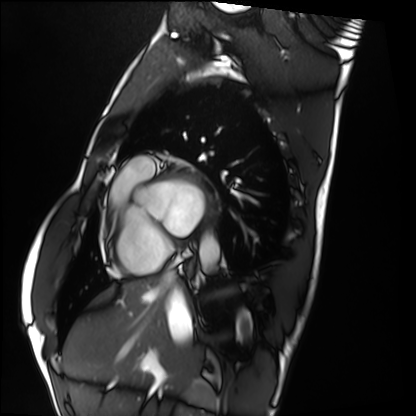
* modality: cardiac MRI
* subject group: healthy volunteer